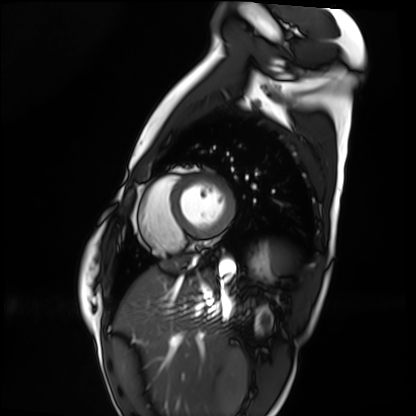
Cardiac MRI. Subject group: healthy volunteer.